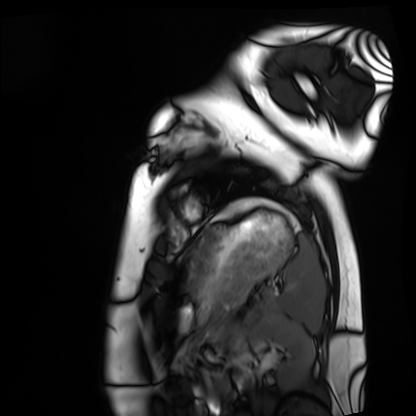
Cardiac MRI.
Subject group: healthy volunteer.